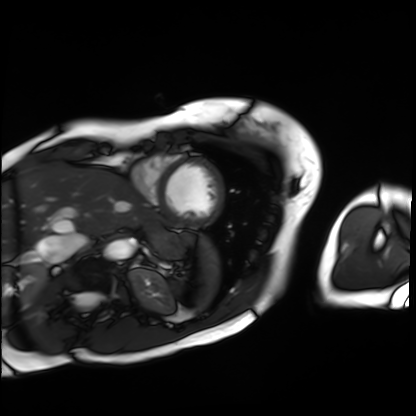
modality: cardiac MRI
cohort: patient